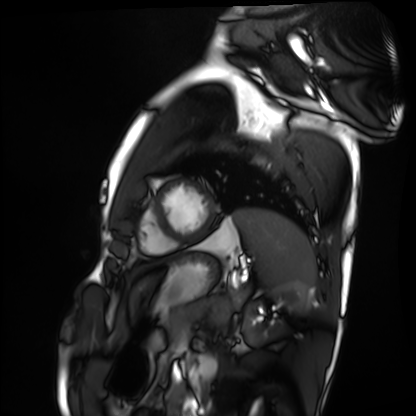
Cardiac MRI. Subject group: healthy volunteer.